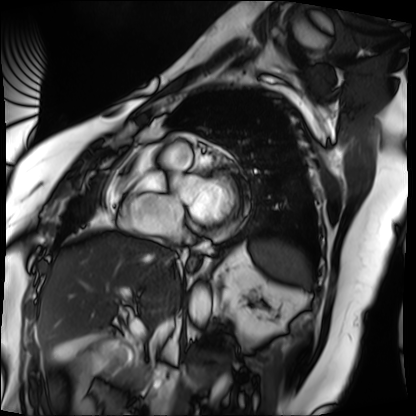
modality: cardiac MRI | subject group: patient.